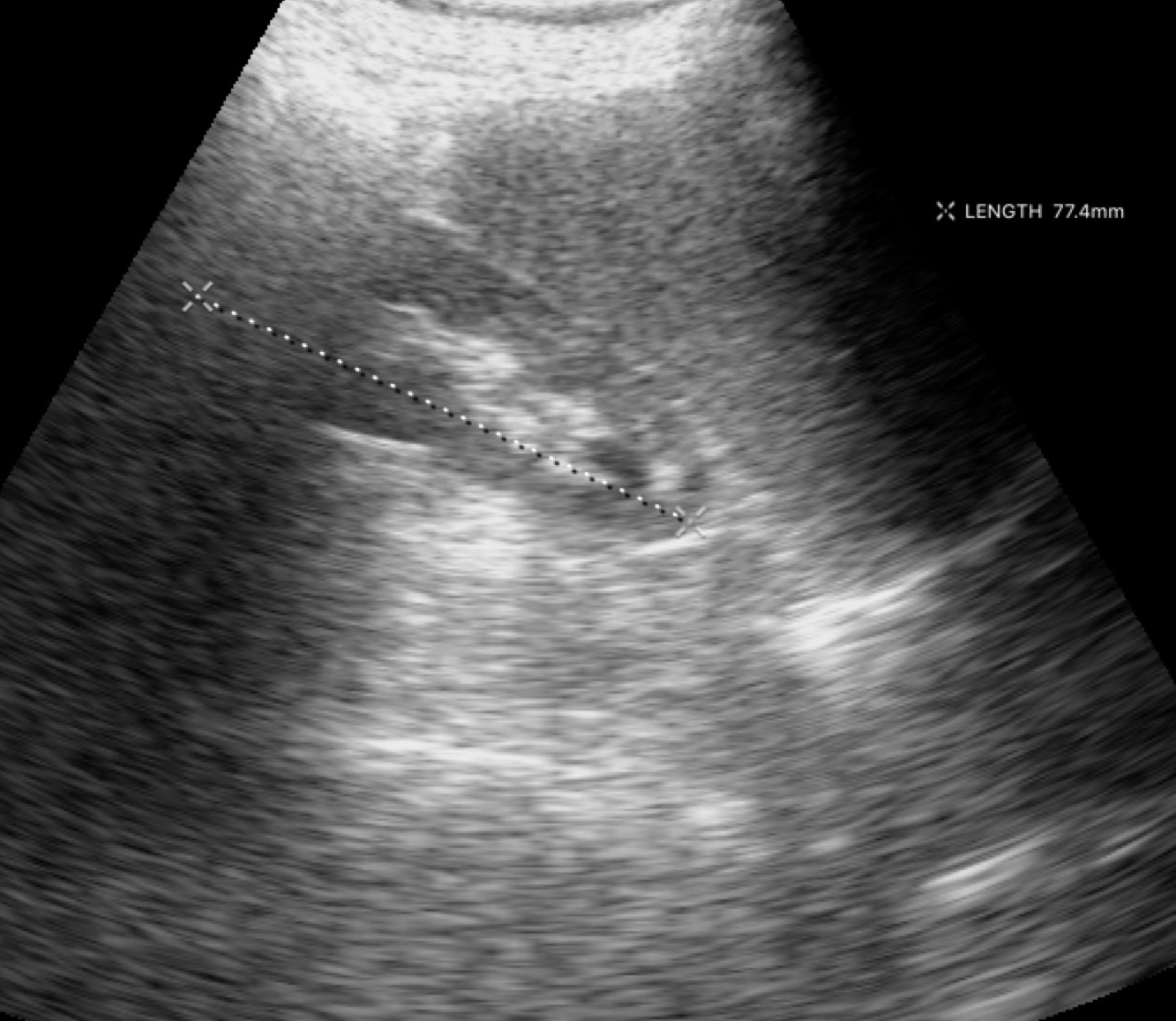
Genitourinary ultrasound.